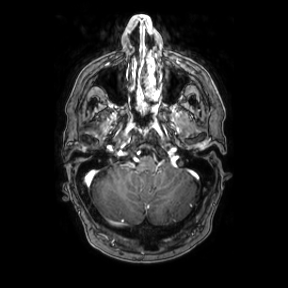
Q: What kind of scan is this?
A: 3 Tesla brain MRI.
Q: Series?
A: Axial.
Study: ring-enhancing brain masses.